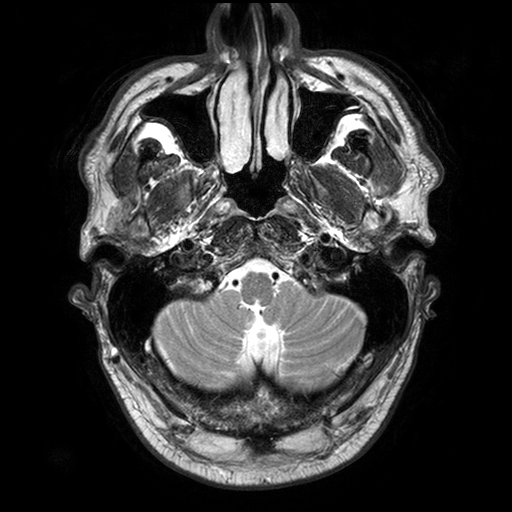
{"modality": {"type": "brain MRI", "field_strength": "3T"}, "series": "T2-weighted turbo spin echo with SENSE", "study_topic": "ring-enhancing brain masses"}